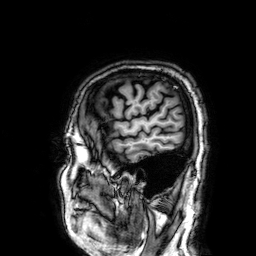
Q: What kind of scan is this?
A: 3 Tesla brain MRI.
Q: Series?
A: 3D T1-weighted.
Study: ring-enhancing brain masses.